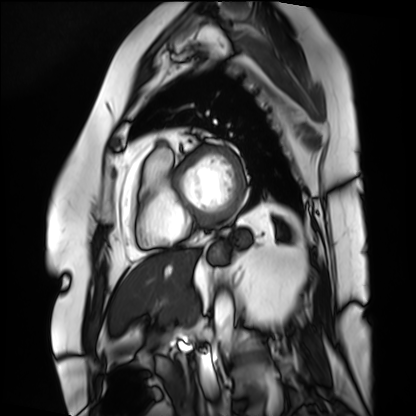
| field | value |
|---|---|
| modality | cardiac MRI |
| subject group | patient |